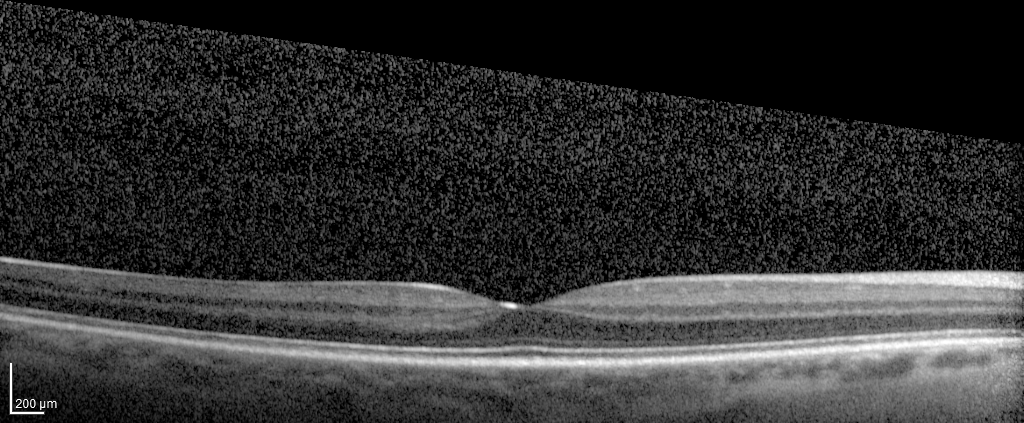
{"modality": "spectral-domain optical coherence tomography (SD-OCT) of the macula", "subject": {"sex": "male", "age": 51, "eye": "right eye"}, "cohort": "diabetic subject", "etdrs_thickness_um": {"central": 291, "inner_temporal": 302, "inner_nasal": 329, "inner_superior": 323, "inner_inferior": 319, "outer_temporal": 254, "outer_nasal": 299, "outer_superior": 284, "outer_inferior": 272}}